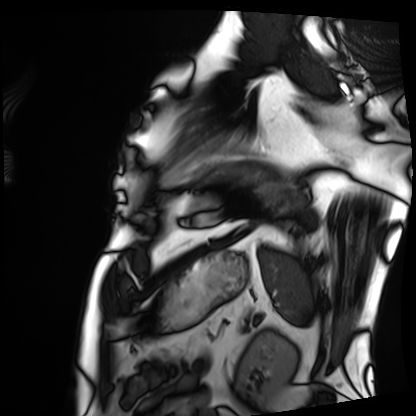
| field | value |
|---|---|
| modality | cardiac MRI |
| subject group | patient |